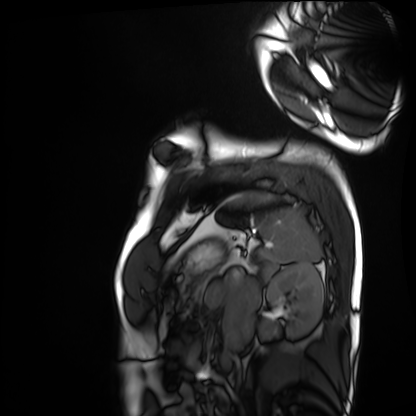
Cardiac MRI.
Subject group: healthy volunteer.